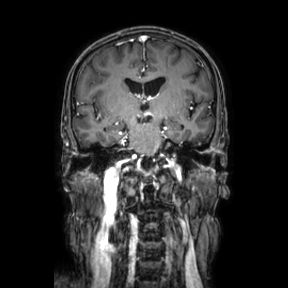
3 Tesla brain MRI. Study: ring-enhancing brain masses.